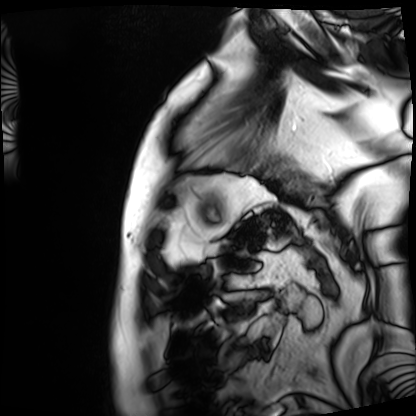
Case:
- modality · cardiac MRI
- subject group · patient